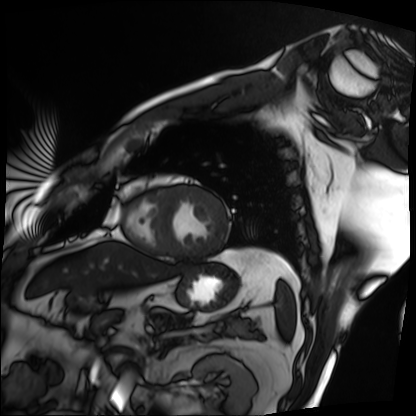
| field | value |
|---|---|
| modality | cardiac MRI |
| subject group | patient |